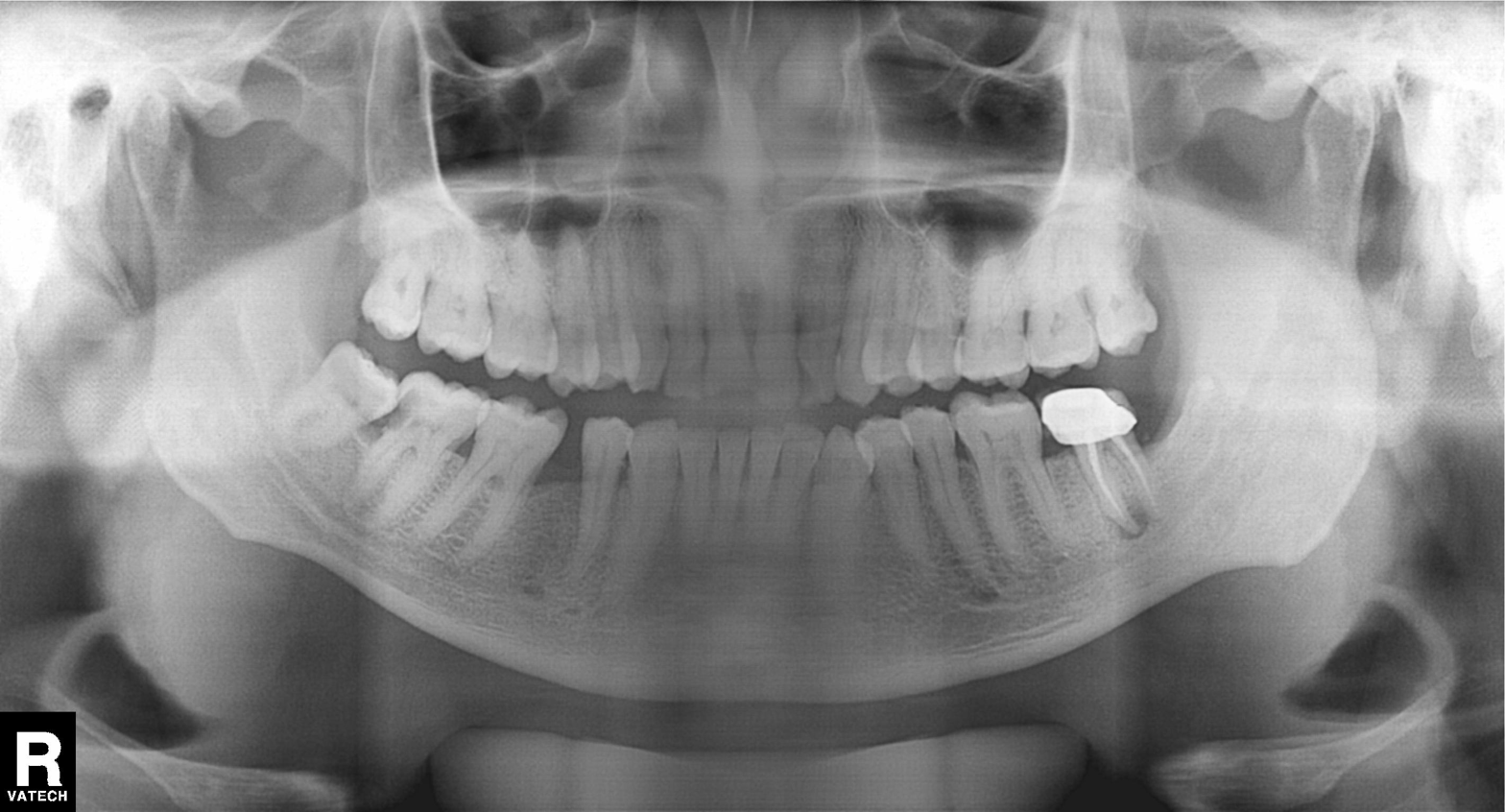
Q: What kind of scan is this?
A: Panoramic dental radiograph (orthopantomogram).
Q: What is the radiographic finding?
A: Alveolar bone loss.